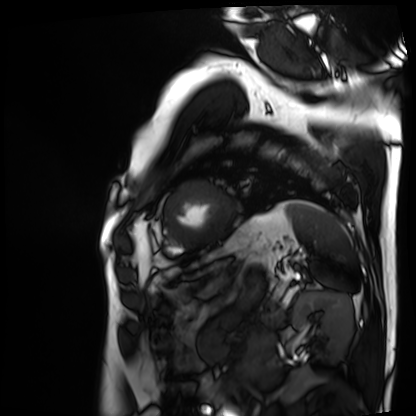
modality: cardiac MRI
subject group: patient